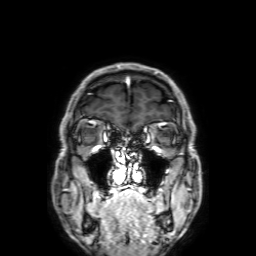
Case summary:
3 Tesla brain MRI. Series: 3D T1-weighted with SENSE. Study: ring-enhancing brain masses.